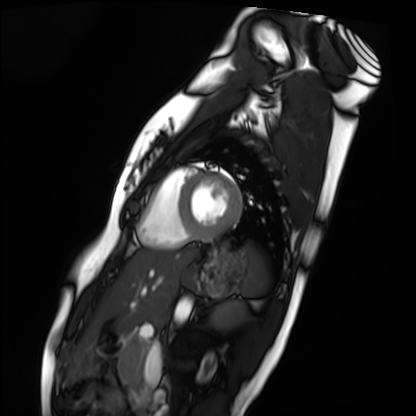
<scan>
<modality>cardiac MRI</modality>
<cohort>healthy volunteer</cohort>
</scan>